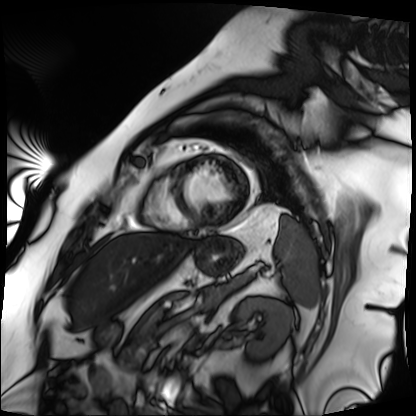
modality = cardiac MRI
subject group = patient